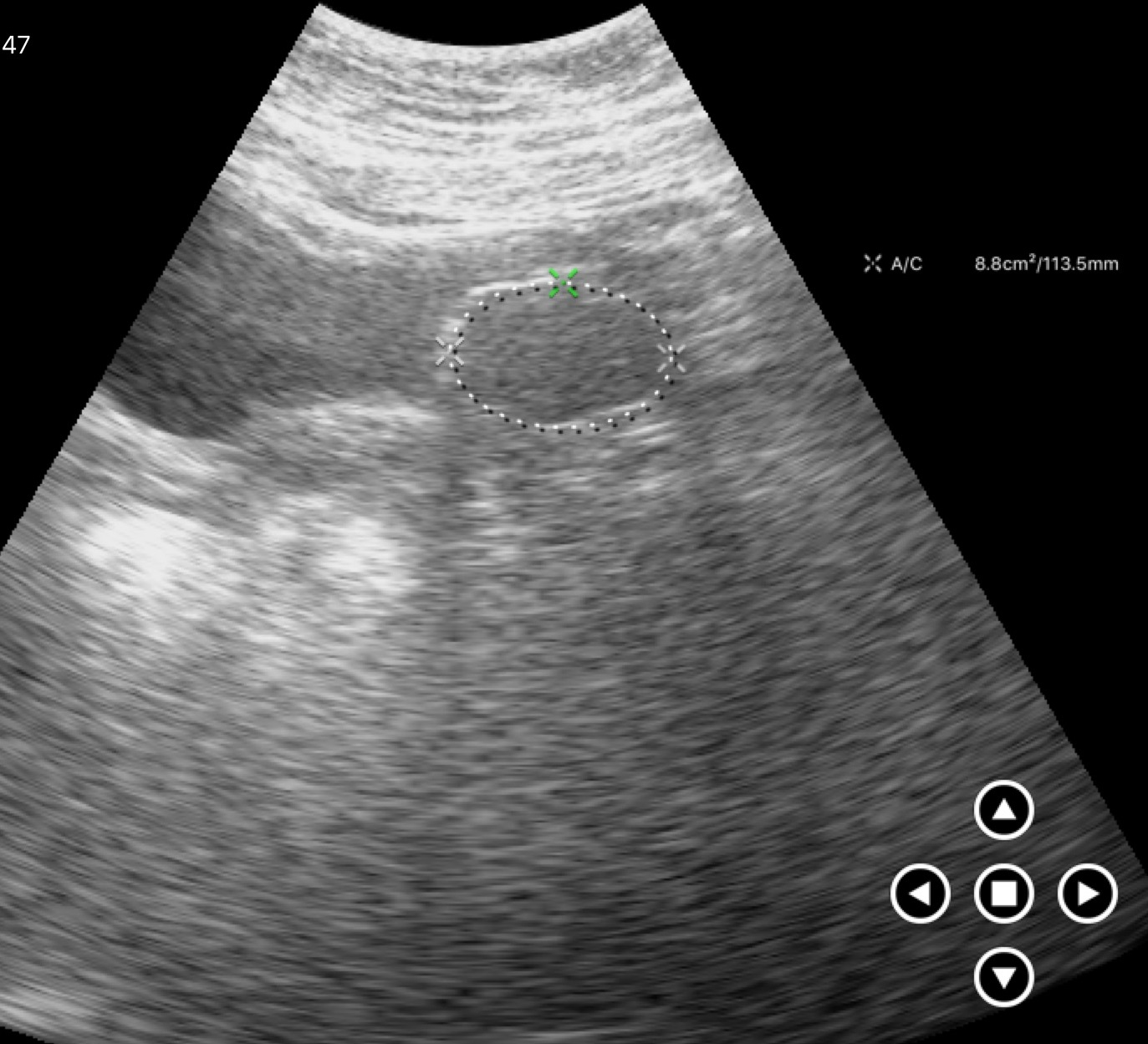
Genitourinary ultrasound.